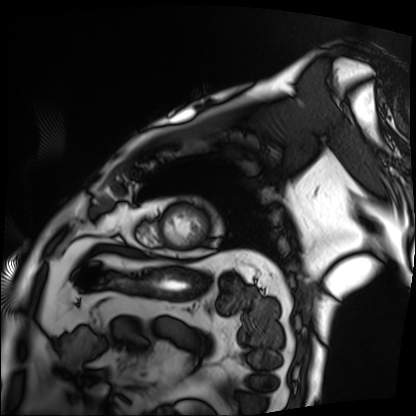
– modality: cardiac MRI
– subject group: patient